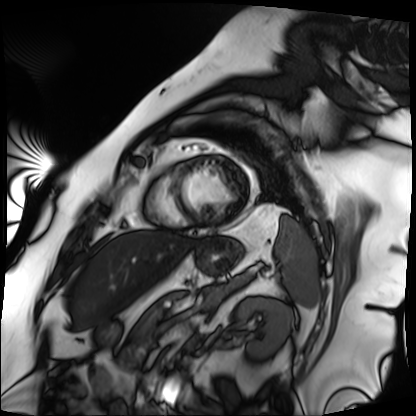
Summary:
Cardiac MRI. Subject group: patient.